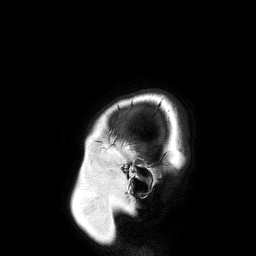
Summary: 3 Tesla brain MRI. Series: 3D T1-weighted turbo field echo. Study: ring-enhancing brain masses.